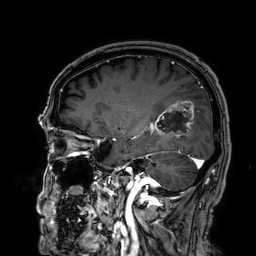
3 Tesla brain MRI. Series: 3D T1-weighted. Study: ring-enhancing brain masses.